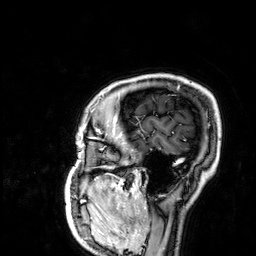
Summary:
3 Tesla brain MRI. Series: 3D T1-weighted. Study: ring-enhancing brain masses.